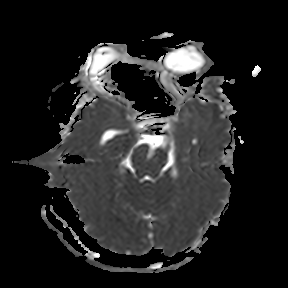
| field | value |
|---|---|
| modality | 3 Tesla brain MRI |
| series | apparent diffusion coefficient (ADC) map |
| study | ring-enhancing brain masses |